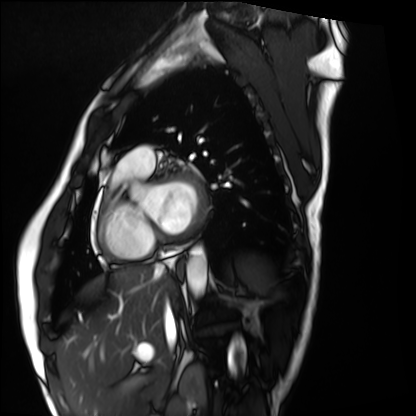
{"modality": "cardiac MRI", "cohort": "healthy volunteer"}